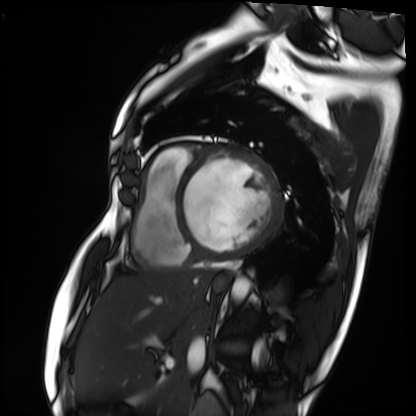
Cardiac MRI. Subject group: patient.